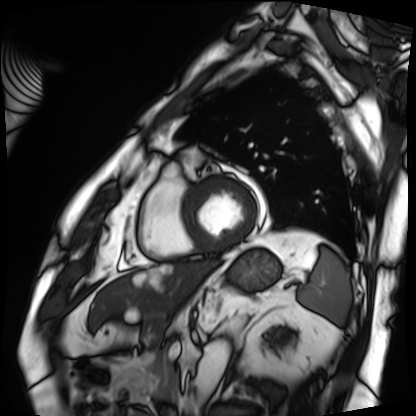
Cardiac MRI.
Subject group: patient.